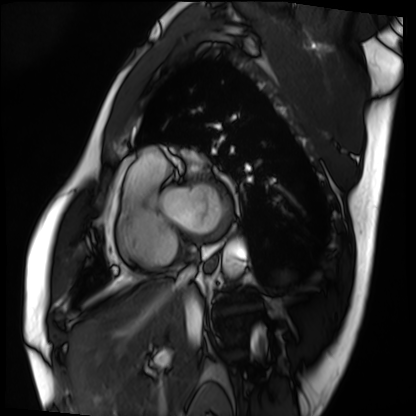
modality: cardiac MRI | subject group: patient.